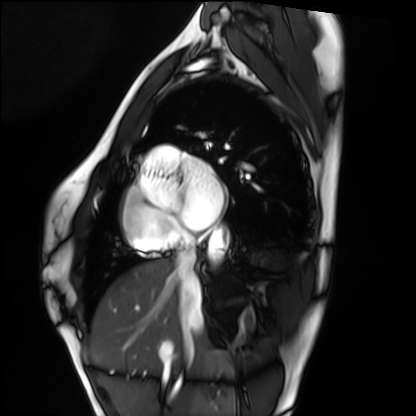
{"modality": "cardiac MRI", "cohort": "healthy volunteer"}